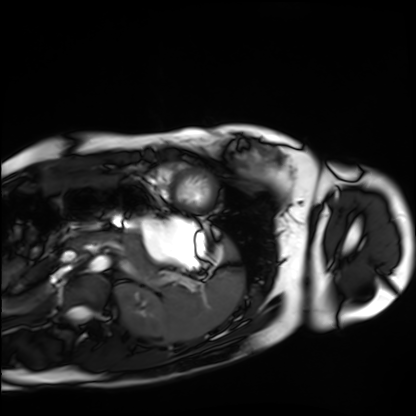
| field | value |
|---|---|
| modality | cardiac MRI |
| subject group | healthy volunteer |